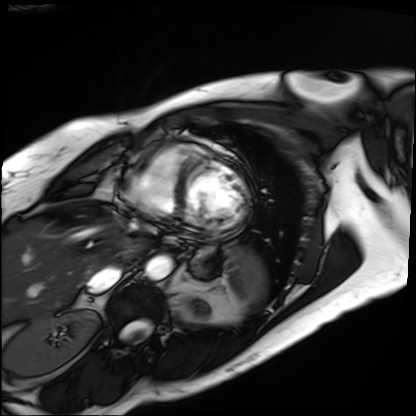
Clinical context: Cardiac MRI. Subject group: patient.